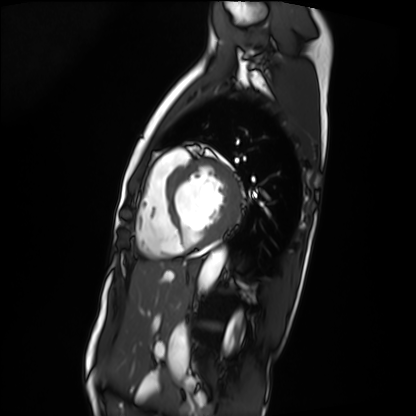
* modality — cardiac MRI
* subject group — patient